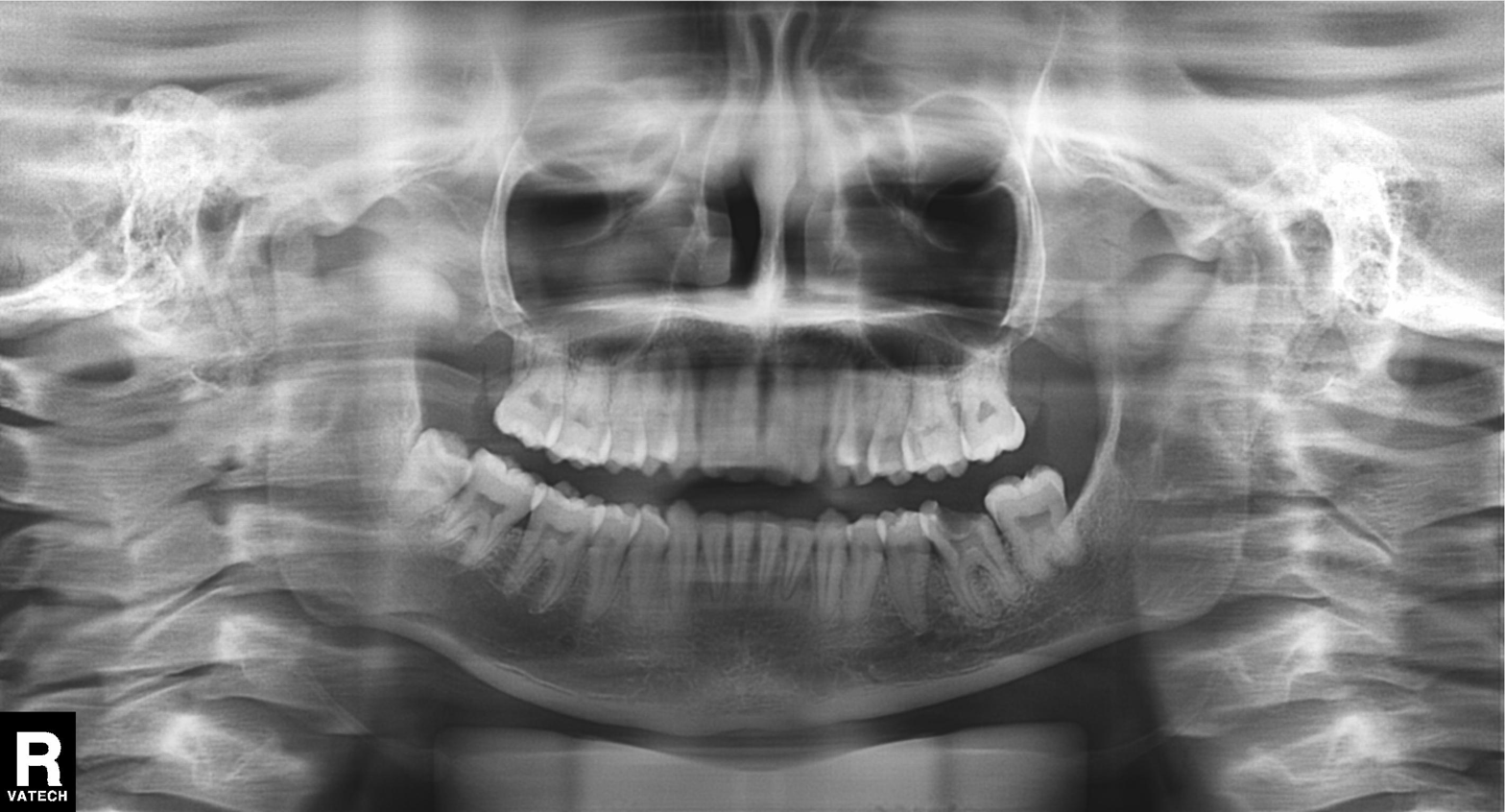
Case summary:
Panoramic dental radiograph (orthopantomogram).
Conclusion:
Dental caries (cavities).